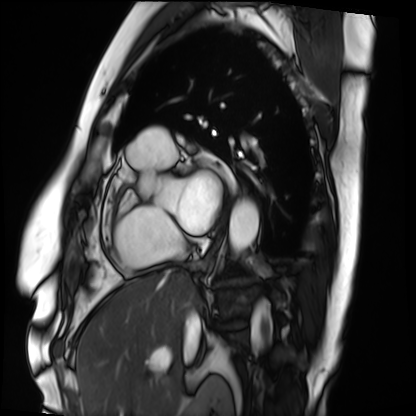
<study>
<modality>cardiac MRI</modality>
<cohort>patient</cohort>
</study>